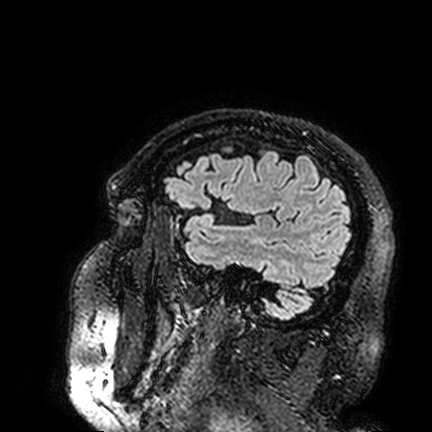
Summary: 3 Tesla brain MRI. Series: FLAIR VISTA. Study: ring-enhancing brain masses.